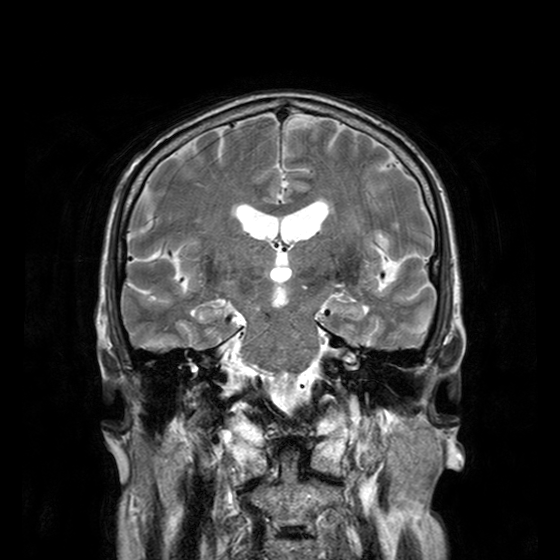
3 Tesla brain MRI. Series: T2-weighted turbo spin echo with CLEAR. Study: ring-enhancing brain masses.